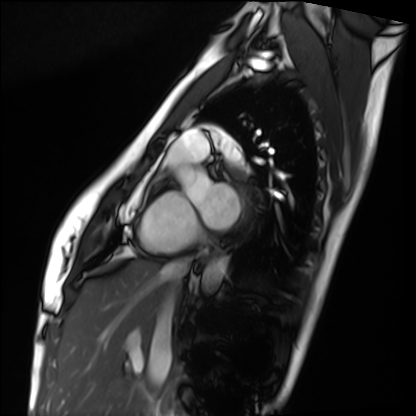
Q: What kind of scan is this?
A: Cardiac MRI.
Subject group: healthy volunteer.